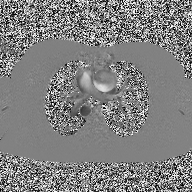
• modality · 2D phase-contrast cine MRI of the ascending aorta